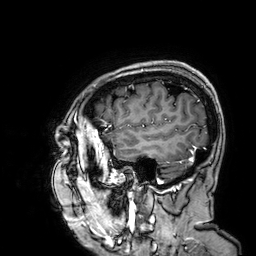
• modality · 3 Tesla brain MRI
• series · 3D T1-weighted
• study · ring-enhancing brain masses